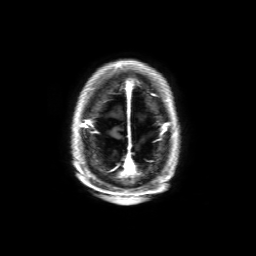
Case:
– modality — 3 Tesla brain MRI
– series — 3D T1-weighted with SENSE
– study — ring-enhancing brain masses